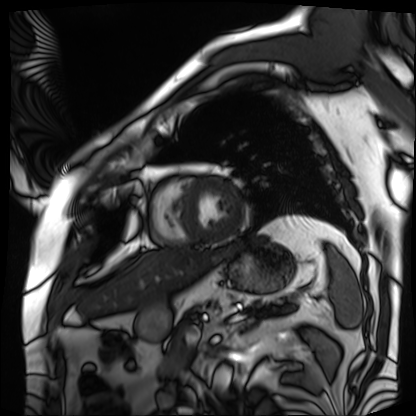
{"modality": "cardiac MRI", "cohort": "patient"}